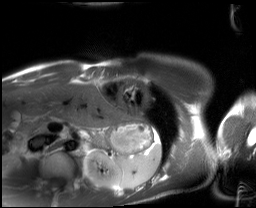
Clinical context: Cardiac MRI. Subject group: healthy volunteer.